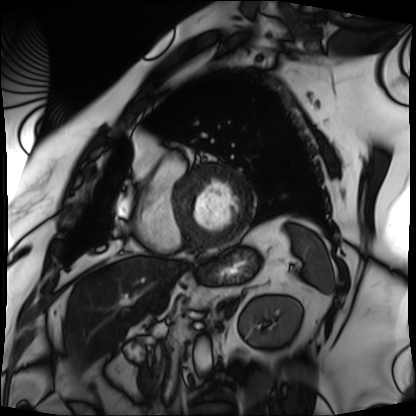
{"modality": "cardiac MRI", "cohort": "patient"}